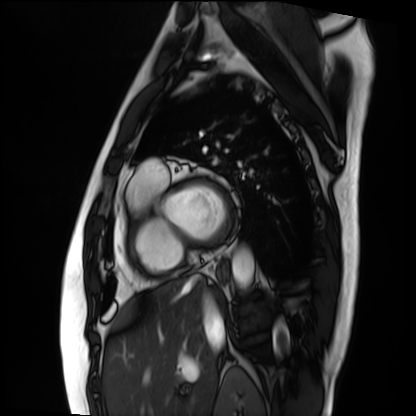
Case summary:
Cardiac MRI. Subject group: patient.